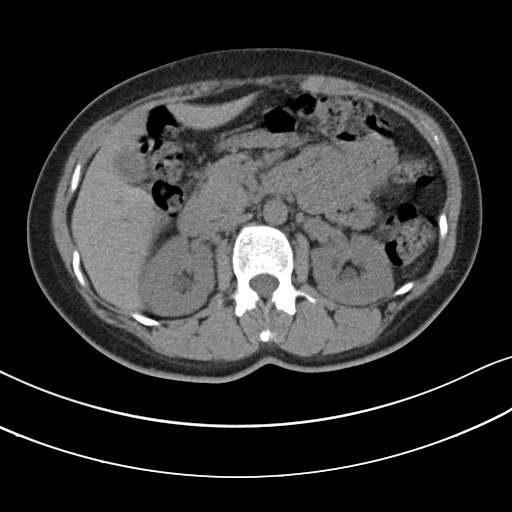
modality: multiphase abdominal CT, liver, non-contrast phase
patient: female, age 46